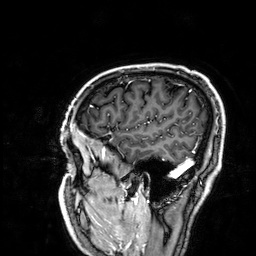
3 Tesla brain MRI. Series: 3D T1-weighted. Study: ring-enhancing brain masses.